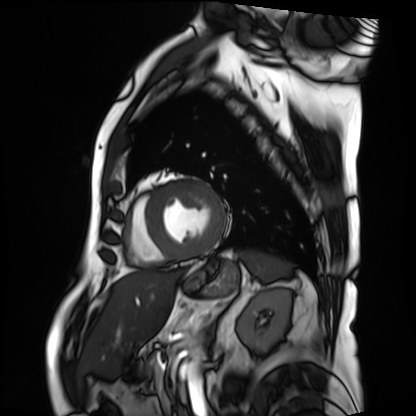
Summary:
Cardiac MRI. Subject group: patient.